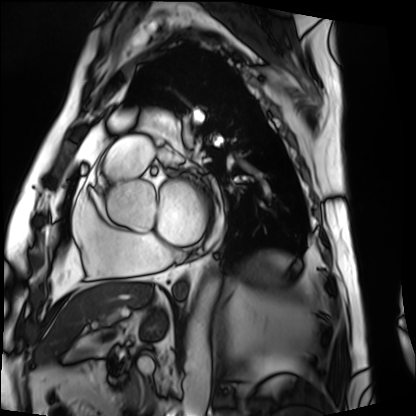
Case:
- modality — cardiac MRI
- subject group — patient